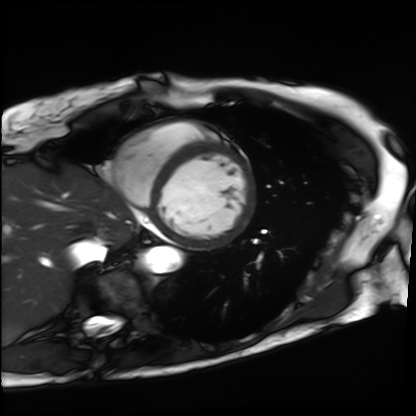
Case:
• modality · cardiac MRI
• subject group · patient